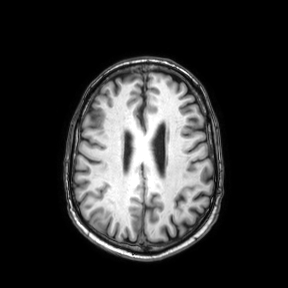
Clinical context: 3 Tesla brain MRI. Series: axial. Study: ring-enhancing brain masses.